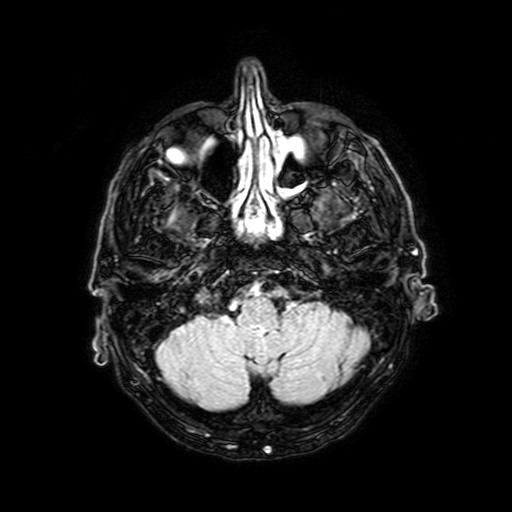
<case>
  <modality>
    <type>brain MRI</type>
    <field_strength>3T</field_strength>
  </modality>
  <series>FLAIR with SPAIR, 3 mm</series>
  <study_topic>ring-enhancing brain masses</study_topic>
</case>